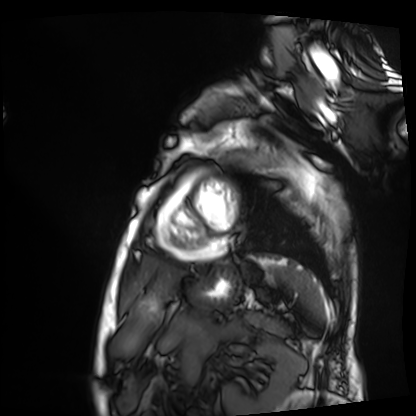
modality: cardiac MRI
cohort: patient